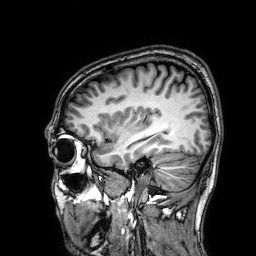
3 Tesla brain MRI. Series: 3D T1-weighted. Study: ring-enhancing brain masses.